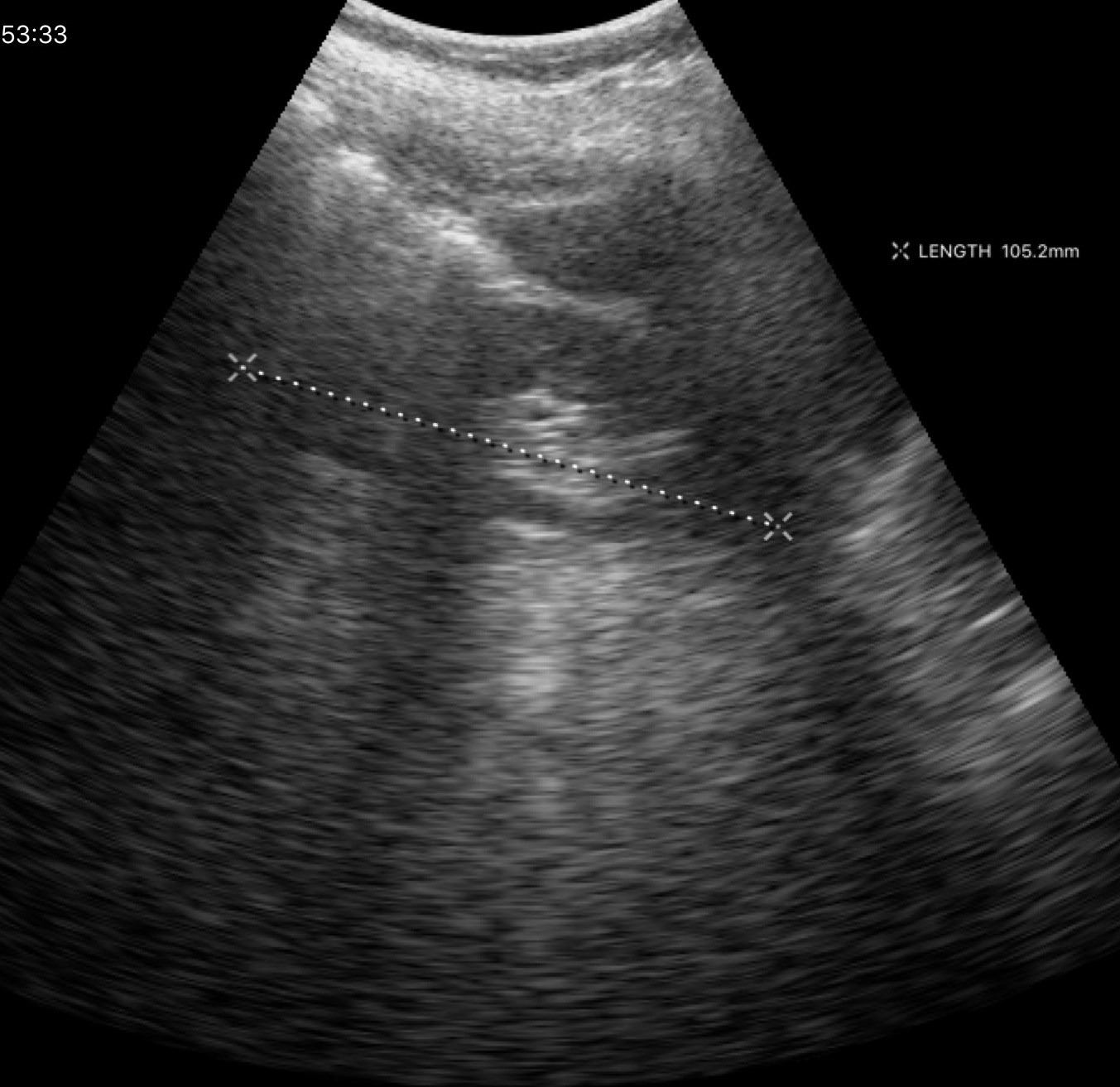
Case:
– modality — genitourinary ultrasound